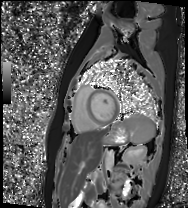
Summary: Cardiac MR image of the myocardium. Subject cohort: healthy volunteer.